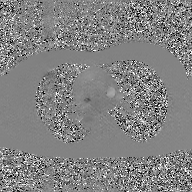
modality — 2D phase-contrast cine MRI of the ascending aorta, GAN super-resolution reconstruction.